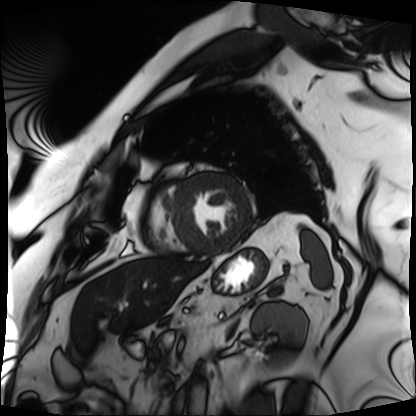
| field | value |
|---|---|
| modality | cardiac MRI |
| subject group | patient |